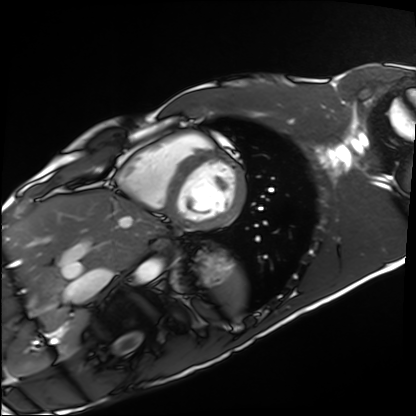
Summary:
Cardiac MRI. Subject group: healthy volunteer.